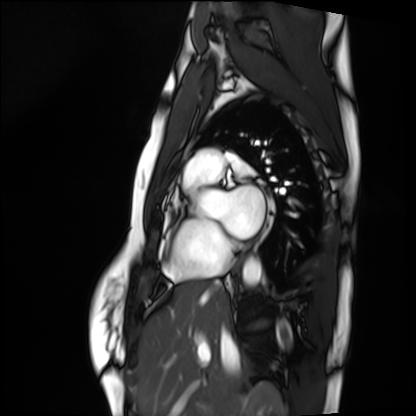
Clinical context: Cardiac MRI. Subject group: healthy volunteer.